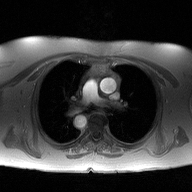
<record>
  <modality>
    <type>2D phase-contrast cine MRI</type>
    <region>ascending aorta</region>
    <reconstruction>high-resolution GRAPPA acquisition</reconstruction>
  </modality>
</record>